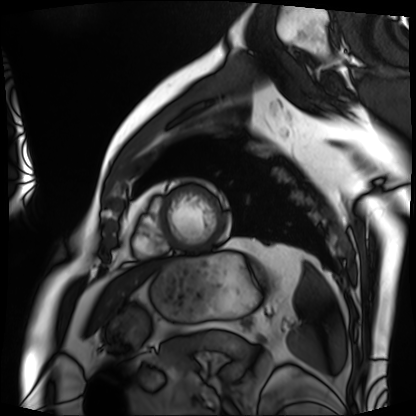
Summary:
Cardiac MRI. Subject group: patient.